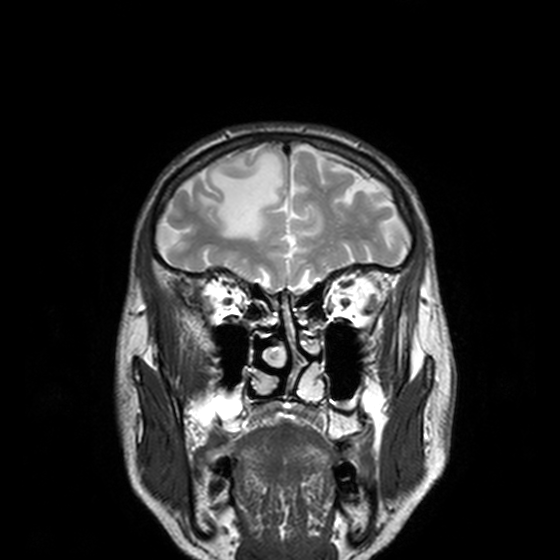
3 Tesla brain MRI. Series: T2-weighted turbo spin echo, 3 mm. Study: ring-enhancing brain masses.